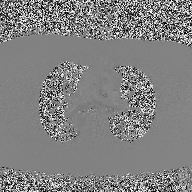
modality: 2D phase-contrast cine MRI of the ascending aorta.